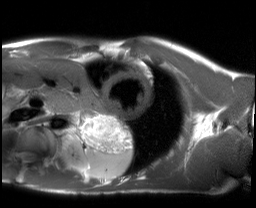
Cardiac MRI.
Subject group: healthy volunteer.